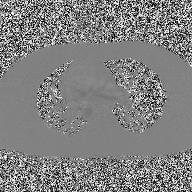
2D phase-contrast cine MRI of the ascending aorta, high-resolution GRAPPA acquisition.